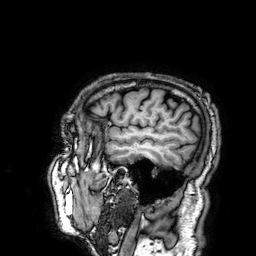
<scan>
  <modality>
    <type>brain MRI</type>
    <field_strength>3T</field_strength>
  </modality>
  <series>3D T1-weighted</series>
  <study_topic>ring-enhancing brain masses</study_topic>
</scan>